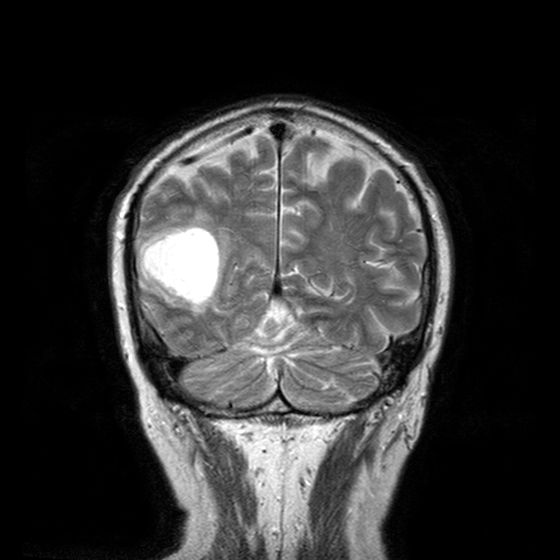
3 Tesla brain MRI. Series: T2-weighted turbo spin echo with CLEAR. Study: ring-enhancing brain masses.